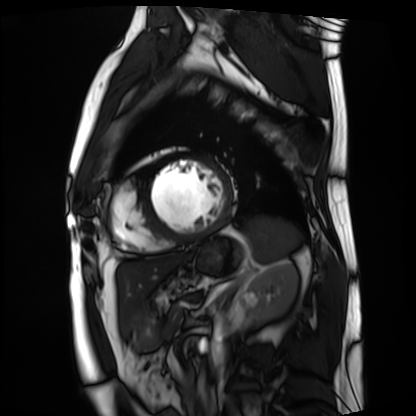
Case:
– modality — cardiac MRI
– subject group — patient